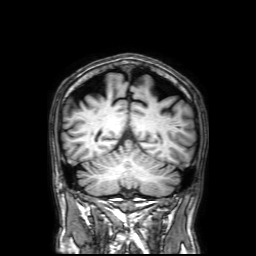
Summary: 3 Tesla brain MRI. Series: 3D T1-weighted with SENSE. Study: ring-enhancing brain masses.